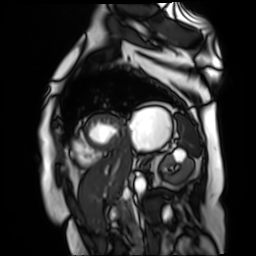
Q: What kind of scan is this?
A: Cardiac MR image of the myocardium.
Subject cohort: cardiac patient.